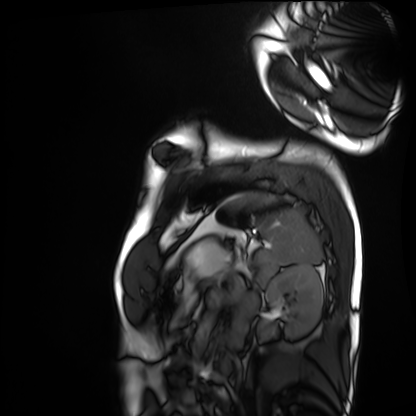
Cardiac MRI.
Subject group: healthy volunteer.